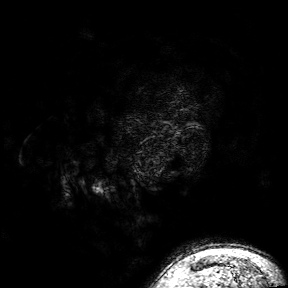
Summary: 3 Tesla brain MRI. Series: 3D T1-weighted turbo field echo with SENSE. Study: ring-enhancing brain masses.